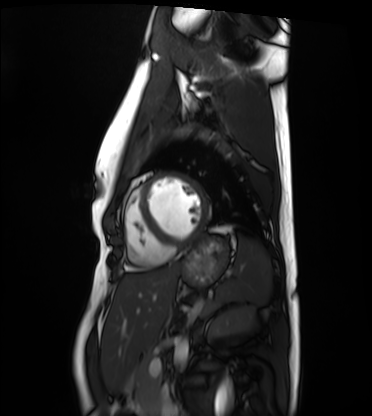
Q: What kind of scan is this?
A: Cardiac MRI.
Subject group: healthy volunteer.